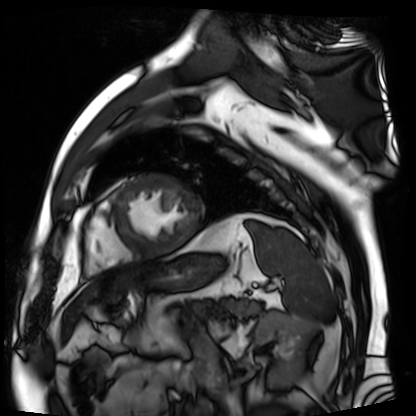
Cardiac MR image of the myocardium. Subject cohort: cardiac patient.